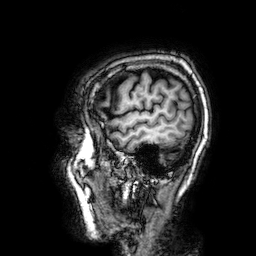
modality = 3 Tesla brain MRI; series = 3D T1-weighted; study = ring-enhancing brain masses.